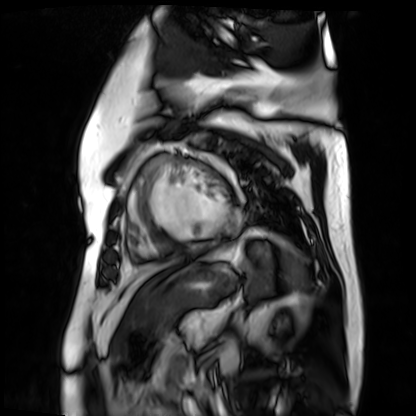
Summary: Cardiac MR image of the myocardium. Subject cohort: cardiac patient.